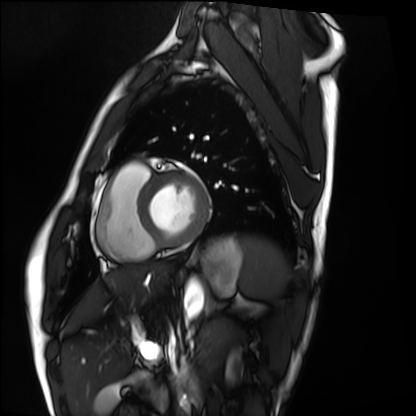
- modality · cardiac MRI
- subject group · healthy volunteer